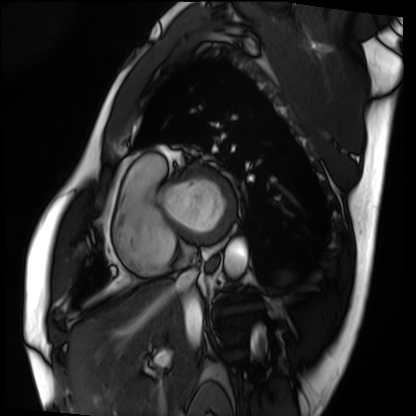
modality: cardiac MRI
cohort: patient